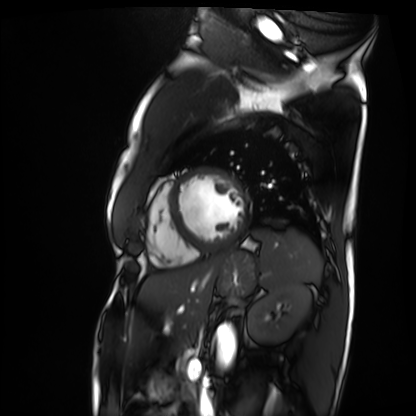
Cardiac MRI. Subject group: patient.